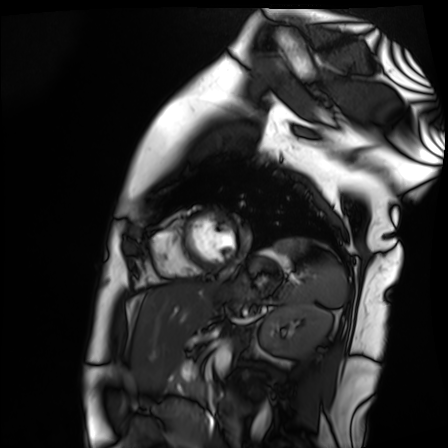
  modality: cardiac MR image of the myocardium
  cohort: healthy volunteer